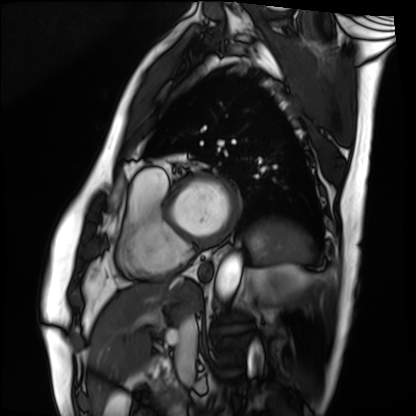
Case summary: Cardiac MRI. Subject group: patient.